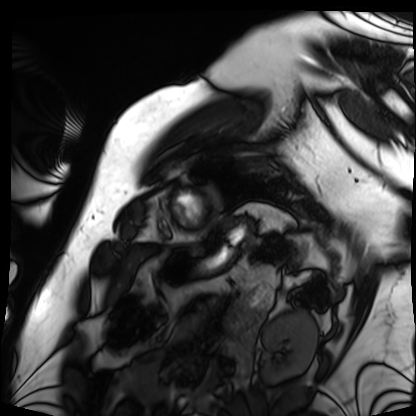
{
  "modality": "cardiac MRI",
  "cohort": "patient"
}